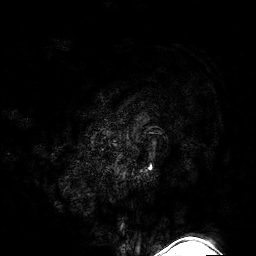
3 Tesla brain MRI.
Series: 3D T1-weighted turbo field echo with SENSE.
Study: ring-enhancing brain masses.